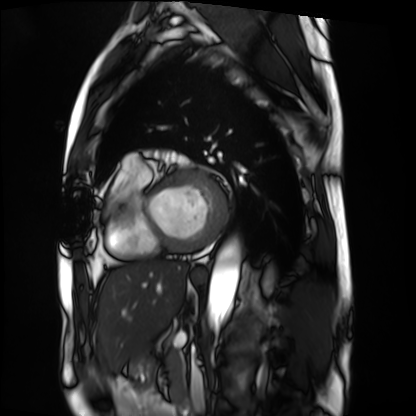
<case>
<modality>cardiac MRI</modality>
<cohort>patient</cohort>
</case>